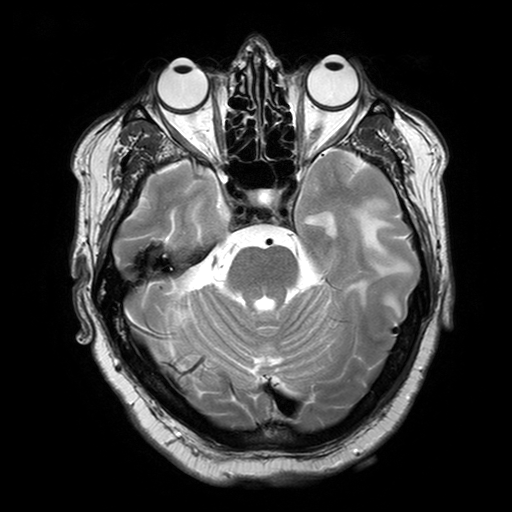
  modality:
    type: brain MRI
    field_strength: 3T
  series: T2-weighted turbo spin echo with SENSE
  study_topic: ring-enhancing brain masses